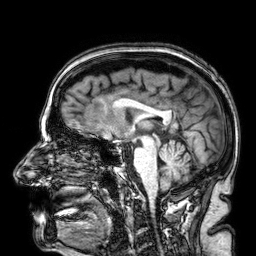
modality: 3 Tesla brain MRI | series: 3D T1-weighted | study: ring-enhancing brain masses.